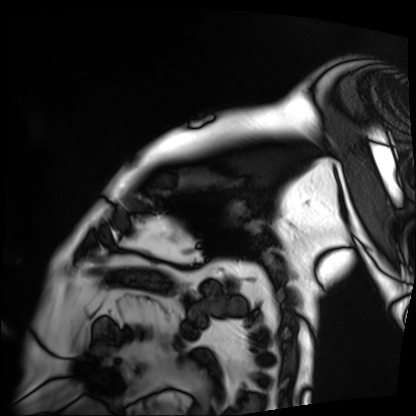
Q: What kind of scan is this?
A: Cardiac MRI.
Subject group: patient.